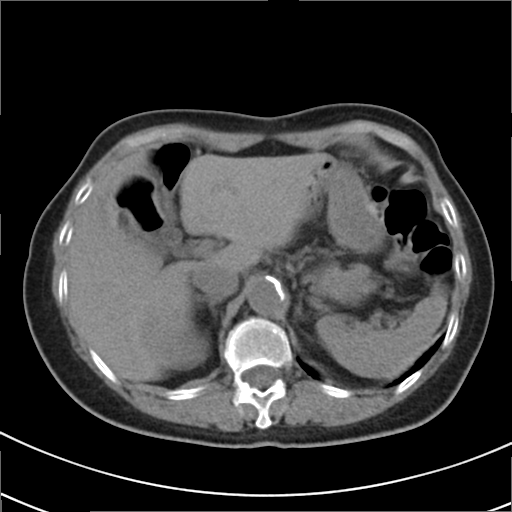
Clinical context:
Multiphase abdominal CT, liver, non-contrast phase. Patient: female, age 79.